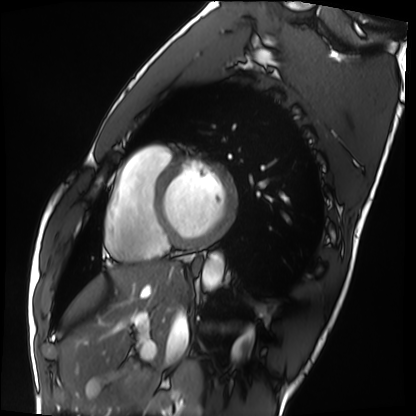
Summary: Cardiac MRI. Subject group: healthy volunteer.